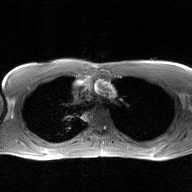
Clinical context: 2D phase-contrast cine MRI of the ascending aorta, GAN super-resolution reconstruction.